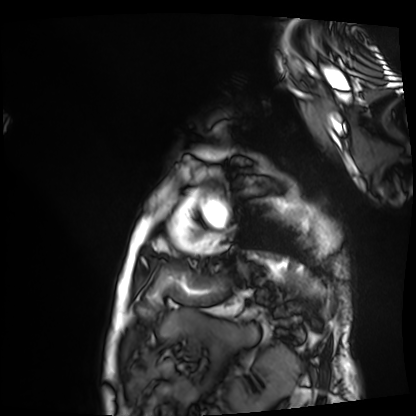
Cardiac MRI. Subject group: patient.